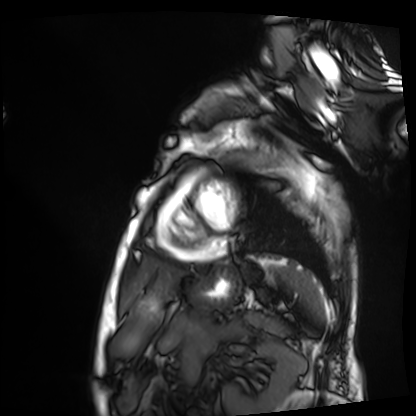
modality: cardiac MRI | subject group: patient.